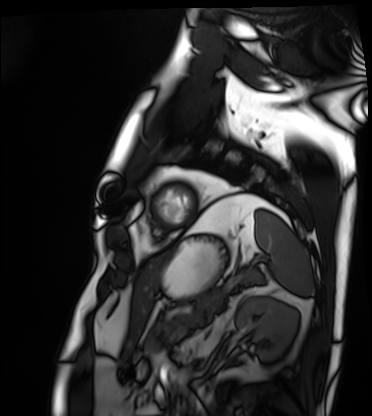
Cardiac MRI. Subject group: patient.